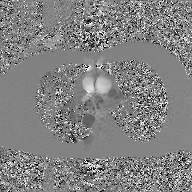
2D phase-contrast cine MRI of the ascending aorta, GAN super-resolution reconstruction.